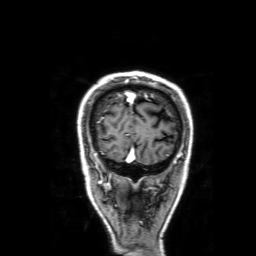
| field | value |
|---|---|
| modality | 3 Tesla brain MRI |
| series | 3D T1-weighted with SENSE |
| study | ring-enhancing brain masses |